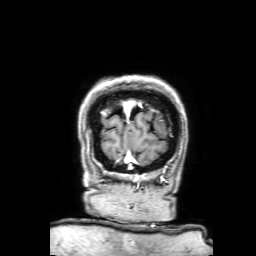
modality: 3 Tesla brain MRI | series: 3D T1-weighted with SENSE | study: ring-enhancing brain masses.